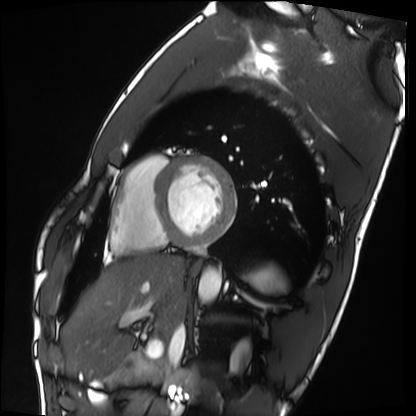
Case:
• modality: cardiac MRI
• subject group: healthy volunteer